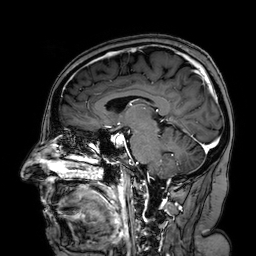
Summary:
3 Tesla brain MRI. Series: 3D T1-weighted turbo field echo with SENSE. Study: ring-enhancing brain masses.